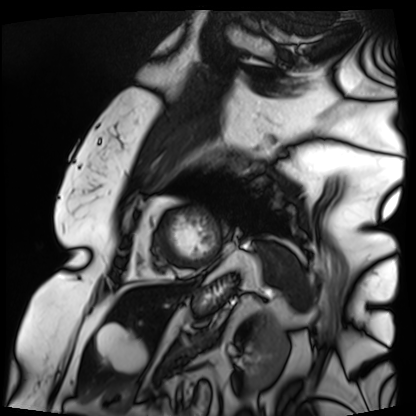
Cardiac MRI.
Subject group: patient.